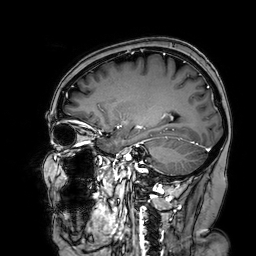
Clinical context:
3 Tesla brain MRI. Series: 3D T1-weighted turbo field echo with SENSE. Study: ring-enhancing brain masses.